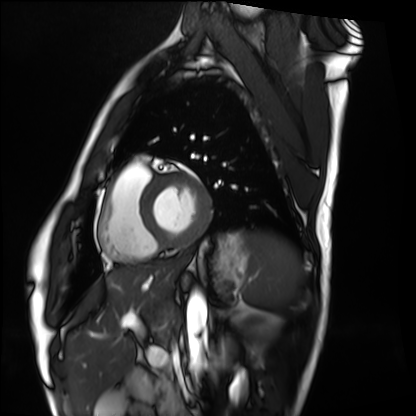
Cardiac MRI.
Subject group: healthy volunteer.